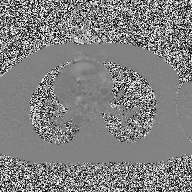
modality: 2D phase-contrast cine MRI of the ascending aorta